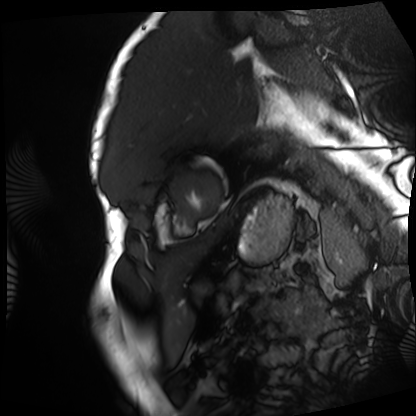
Case summary: Cardiac MRI. Subject group: patient.